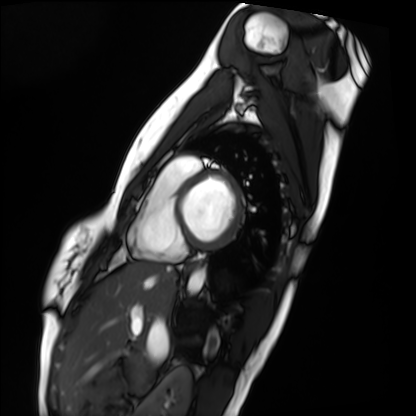
- modality · cardiac MRI
- subject group · healthy volunteer